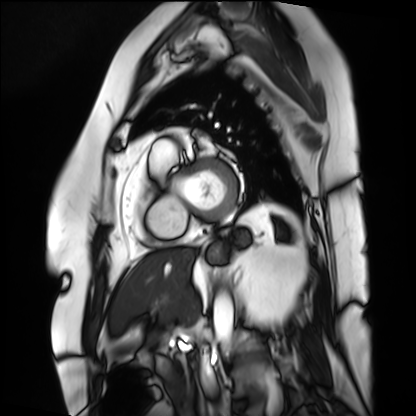
Cardiac MRI.
Subject group: patient.